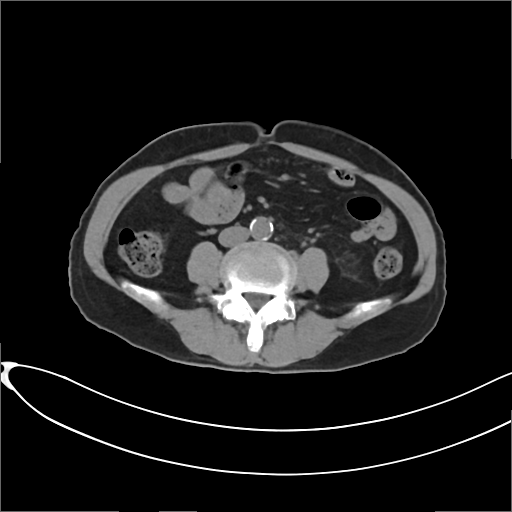
Q: What kind of scan is this?
A: Multiphase abdominal CT, liver, non-contrast phase.
Q: Patient?
A: Female, age 65.